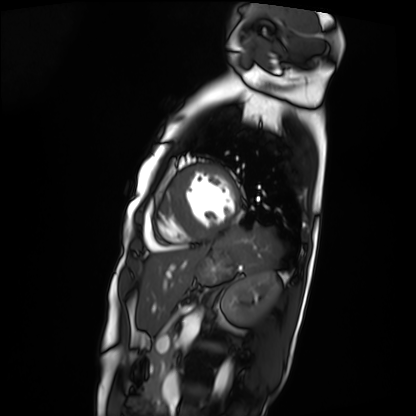
{
  "modality": "cardiac MRI",
  "cohort": "patient"
}